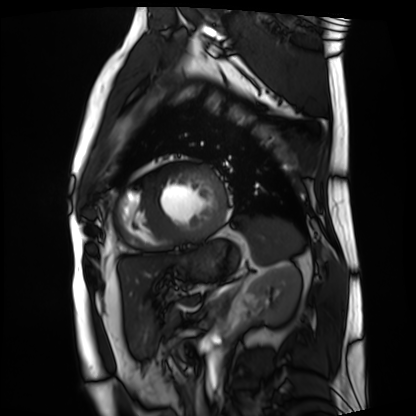
Summary: Cardiac MRI. Subject group: patient.